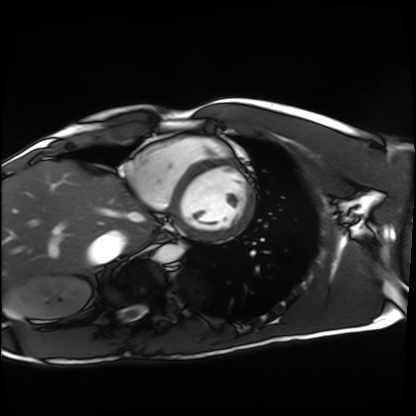
Cardiac MRI.
Subject group: healthy volunteer.